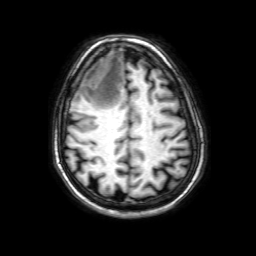
modality: 3 Tesla brain MRI
series: 3D T1-weighted with SENSE
study: ring-enhancing brain masses